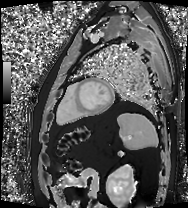
Q: What kind of scan is this?
A: Cardiac MRI.
Subject group: patient.